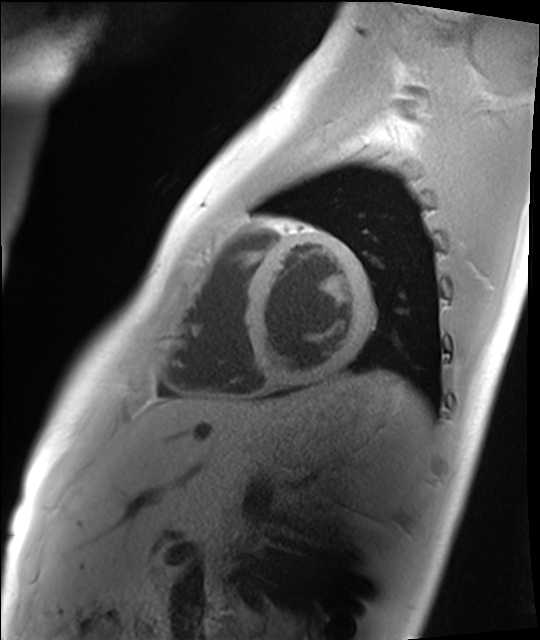
{
  "modality": "cardiac MRI",
  "cohort": "healthy volunteer"
}